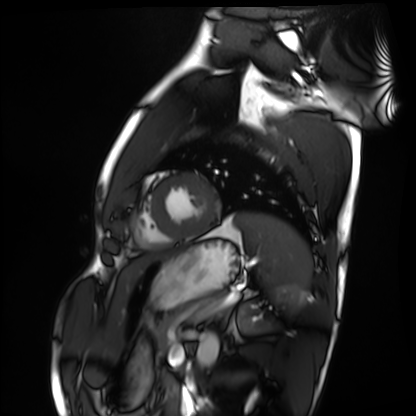
{
  "modality": "cardiac MRI",
  "cohort": "healthy volunteer"
}